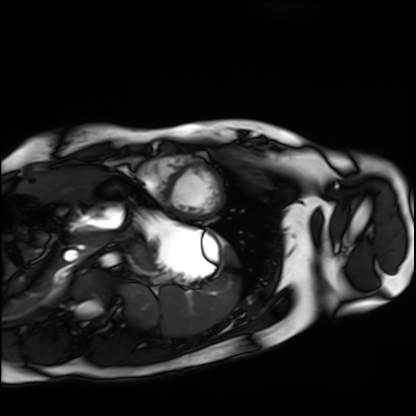
Clinical context: Cardiac MRI. Subject group: healthy volunteer.